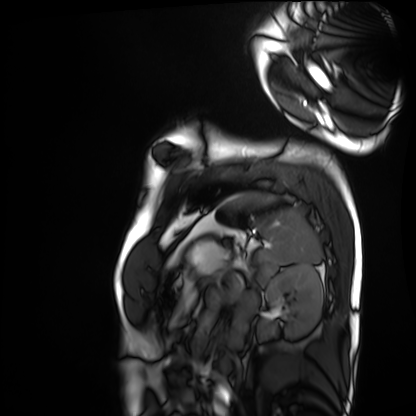
Q: What kind of scan is this?
A: Cardiac MRI.
Subject group: healthy volunteer.